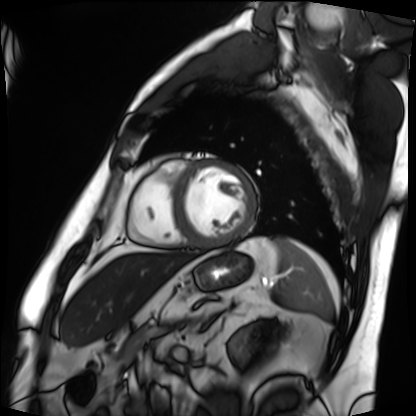
Case summary: Cardiac MRI. Subject group: patient.